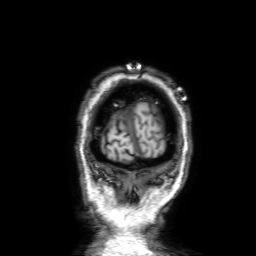
| field | value |
|---|---|
| modality | 3 Tesla brain MRI |
| series | 3D T1-weighted with SENSE |
| study | ring-enhancing brain masses |